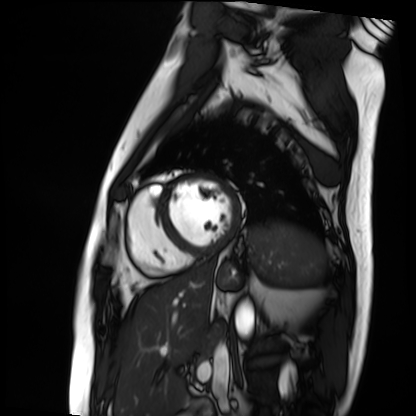
Cardiac MRI. Subject group: patient.